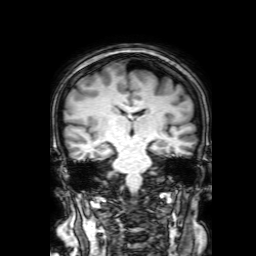
modality — 3 Tesla brain MRI
series — 3D T1-weighted with SENSE
study — ring-enhancing brain masses